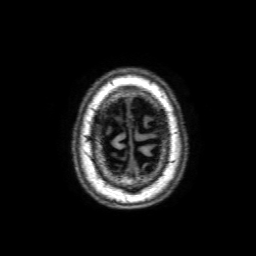
Summary: 3 Tesla brain MRI. Series: 3D T1-weighted with SENSE. Study: ring-enhancing brain masses.